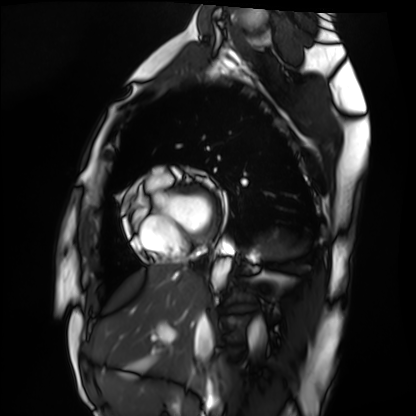
Summary: Cardiac MRI. Subject group: healthy volunteer.